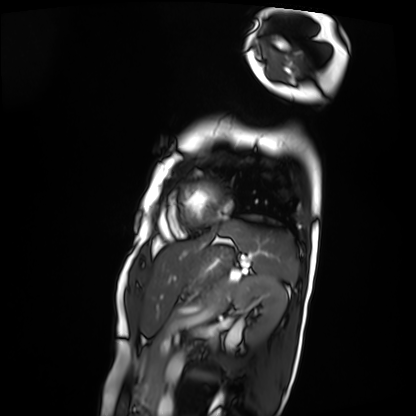
| field | value |
|---|---|
| modality | cardiac MRI |
| subject group | patient |